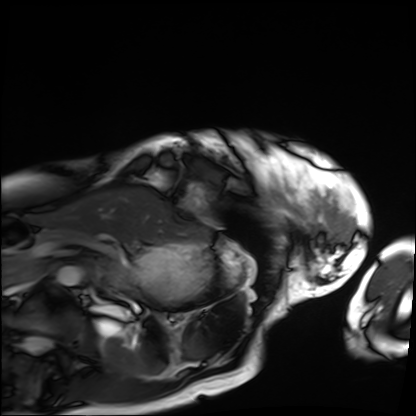
{"modality": "cardiac MRI", "cohort": "patient"}